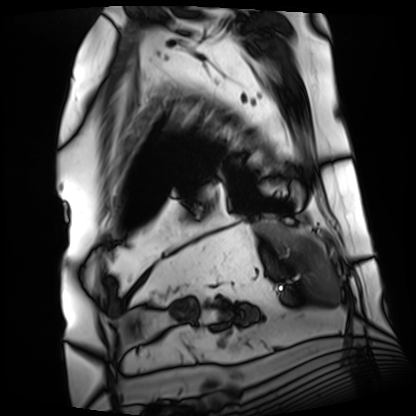
Cardiac MRI.
Subject group: patient.